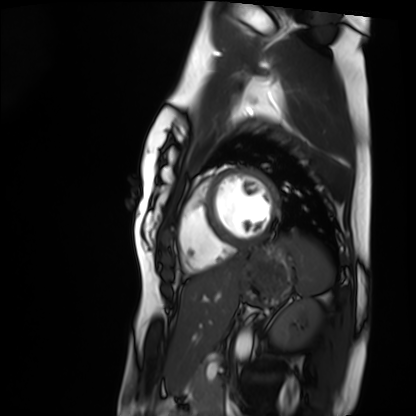
Cardiac MRI. Subject group: healthy volunteer.